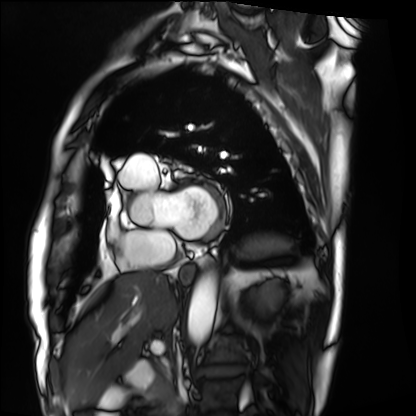
Case:
- modality · cardiac MRI
- subject group · patient